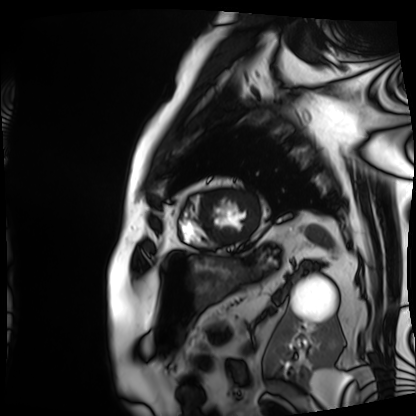
Summary: Cardiac MRI. Subject group: patient.